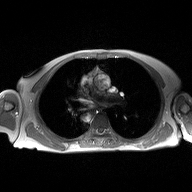
  modality:
    type: 2D phase-contrast cine MRI
    region: ascending aorta
    reconstruction: high-resolution GRAPPA acquisition